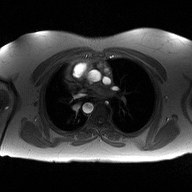
2D phase-contrast cine MRI of the ascending aorta, high-resolution GRAPPA acquisition.